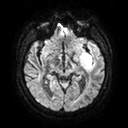
Summary:
3 Tesla brain MRI. Series: diffusion tensor imaging (medium iso). Study: ring-enhancing brain masses.